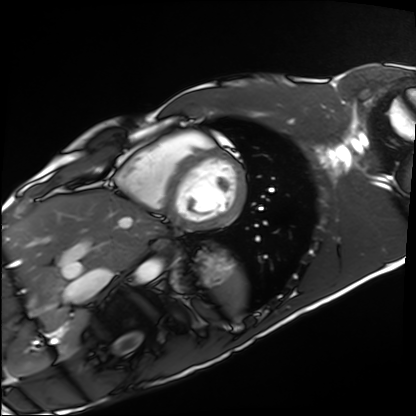
Q: What kind of scan is this?
A: Cardiac MRI.
Subject group: healthy volunteer.